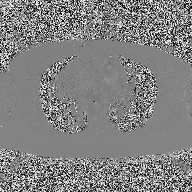
2D phase-contrast cine MRI of the ascending aorta, high-resolution GRAPPA acquisition.